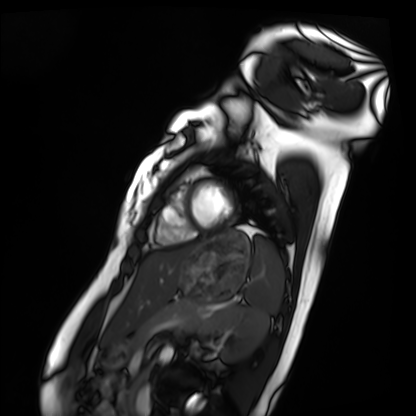
Cardiac MRI.
Subject group: healthy volunteer.